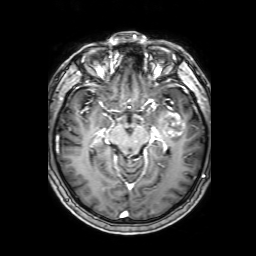
3 Tesla brain MRI. Series: 3D T1-weighted with SENSE. Study: ring-enhancing brain masses.